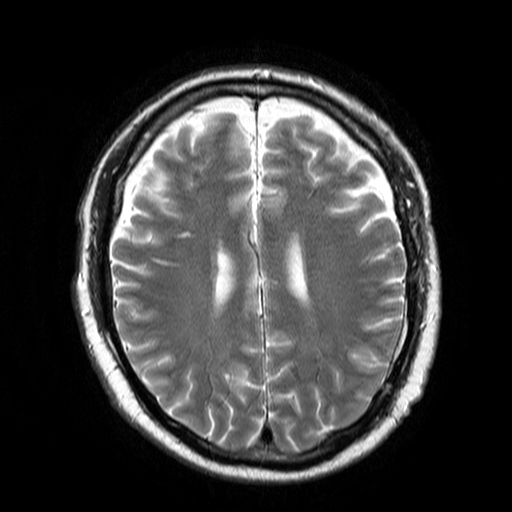
Q: What kind of scan is this?
A: 3 Tesla brain MRI.
Q: Series?
A: T2-weighted turbo spin echo.
Study: ring-enhancing brain masses.